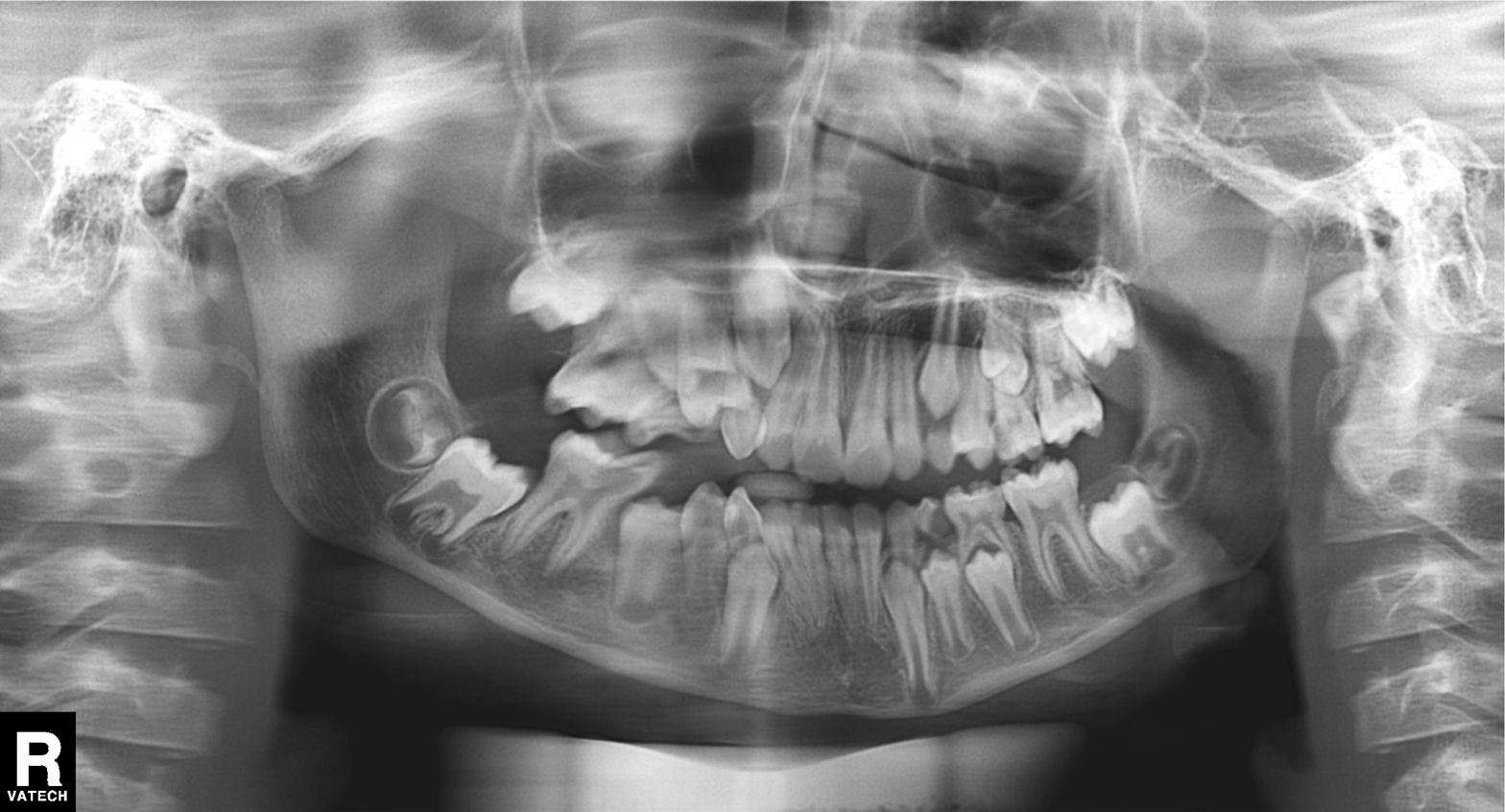
modality = panoramic dental radiograph (orthopantomogram)
finding = alveolar bone loss